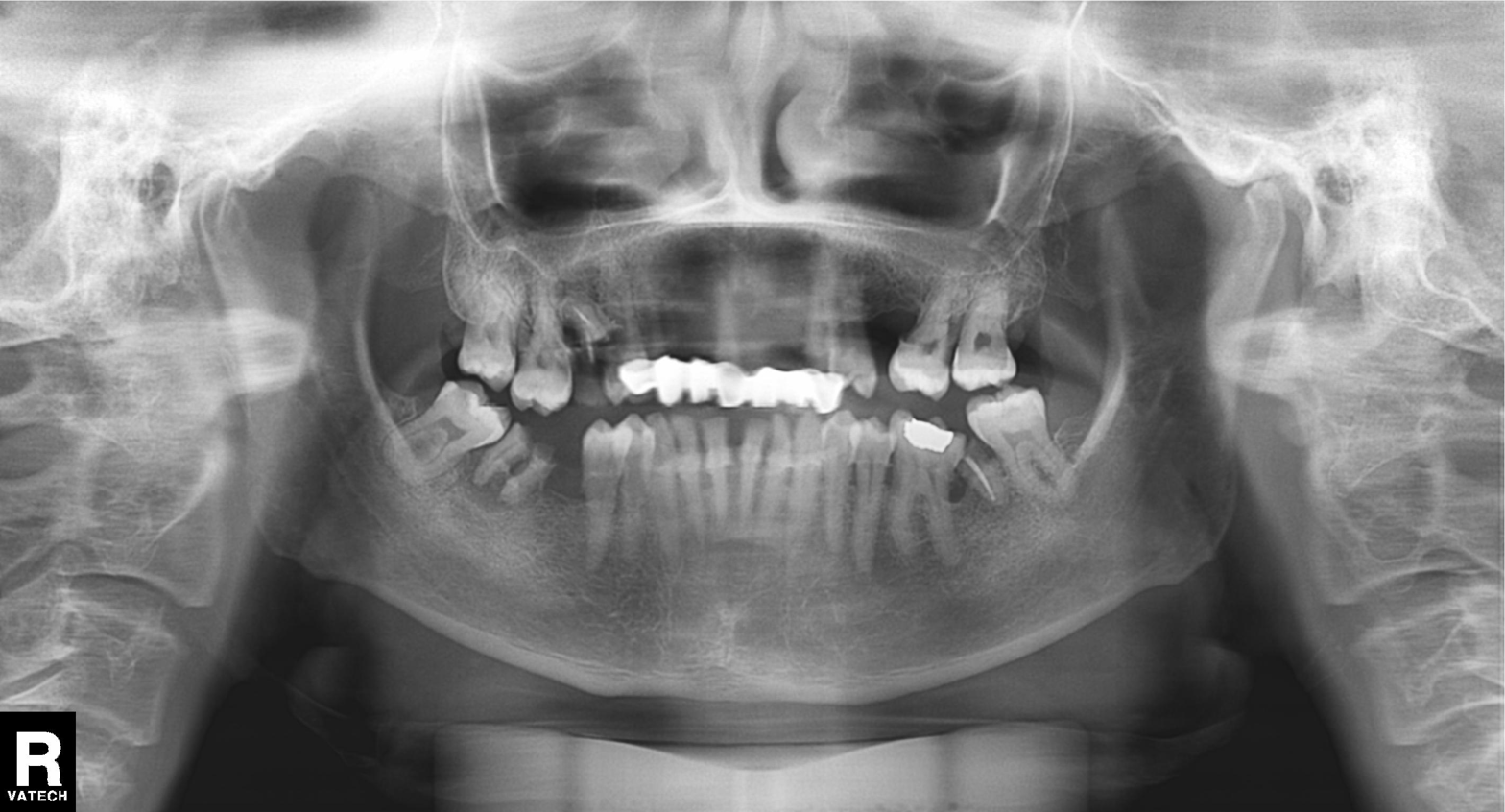
modality — panoramic dental radiograph (orthopantomogram) | finding — dental caries (cavities).